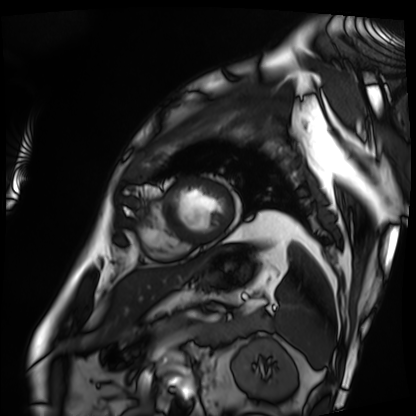
Clinical context: Cardiac MRI. Subject group: patient.